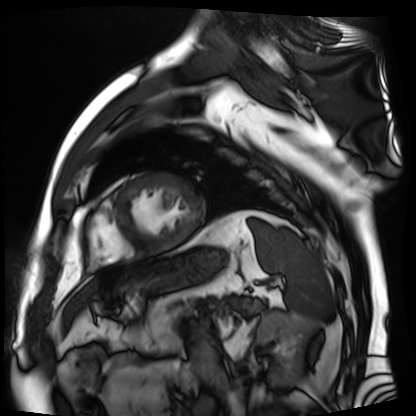
Case summary:
Cardiac MR image of the myocardium. Subject cohort: cardiac patient.